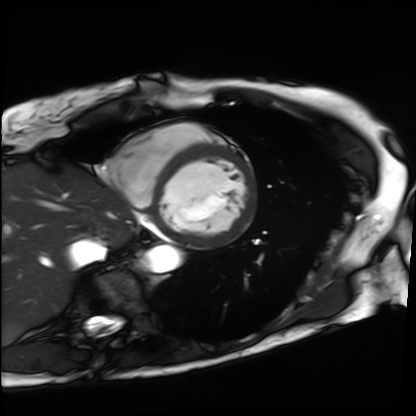
<study>
  <modality>cardiac MRI</modality>
  <cohort>patient</cohort>
</study>